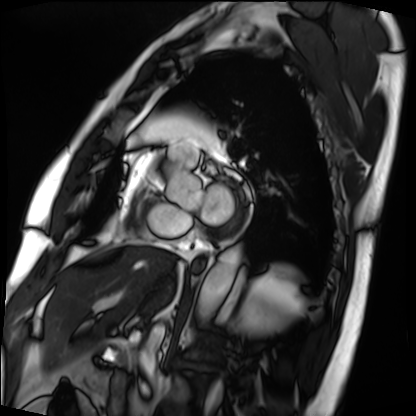
Case summary:
Cardiac MRI. Subject group: patient.